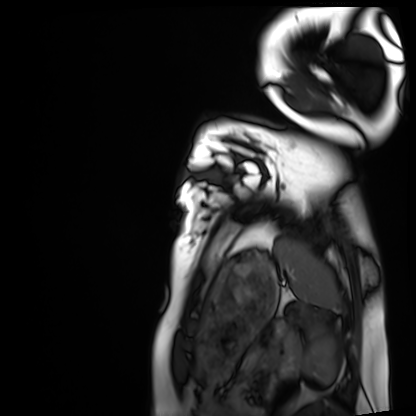
Clinical context: Cardiac MRI. Subject group: healthy volunteer.